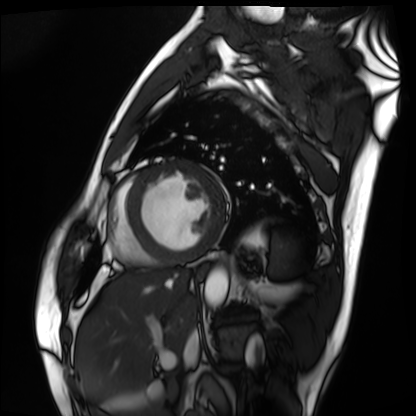
Cardiac MRI.
Subject group: patient.